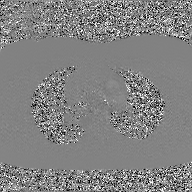
Summary: 2D phase-contrast cine MRI of the ascending aorta, GAN super-resolution reconstruction.